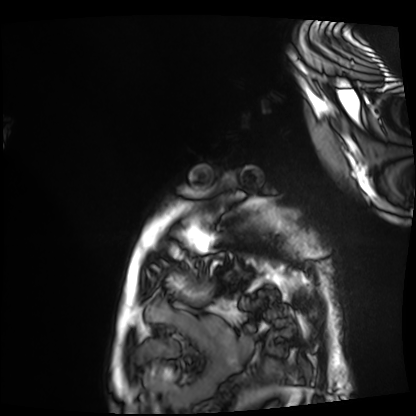
| field | value |
|---|---|
| modality | cardiac MRI |
| subject group | patient |